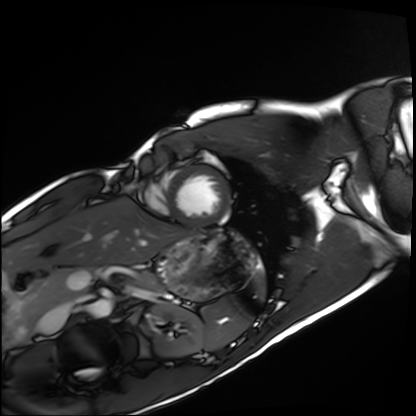
Cardiac MRI. Subject group: healthy volunteer.